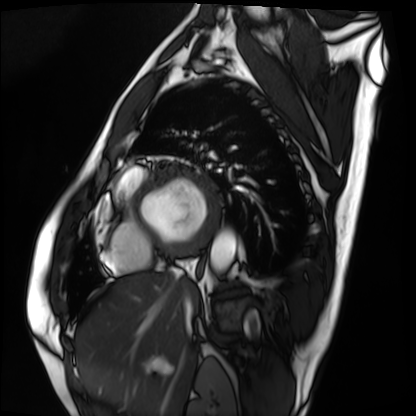
modality = cardiac MRI
subject group = patient